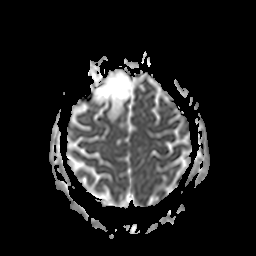
Case:
• modality — 3 Tesla brain MRI
• series — apparent diffusion coefficient (ADC) map
• study — ring-enhancing brain masses